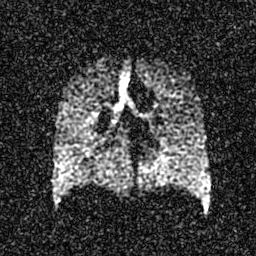
Clinical context: Hyperpolarized 129Xe ventilation MRI of the lungs. SNR level 4 of 8 (the deposit holds this scan as its native image and as seven SNR-degraded versions).